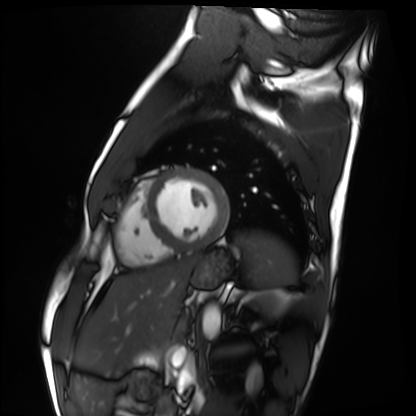
Case:
- modality — cardiac MRI
- subject group — healthy volunteer